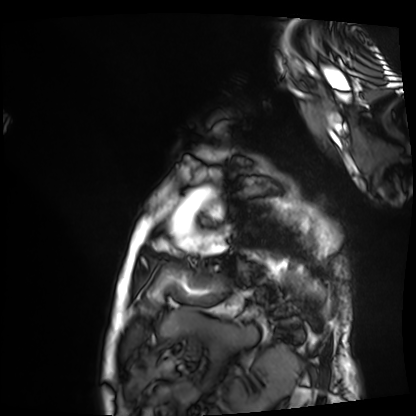
Cardiac MRI. Subject group: patient.